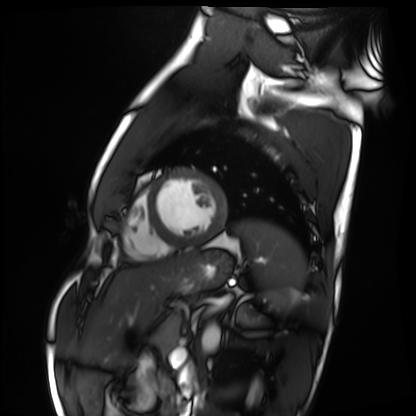
modality: cardiac MRI | subject group: healthy volunteer.